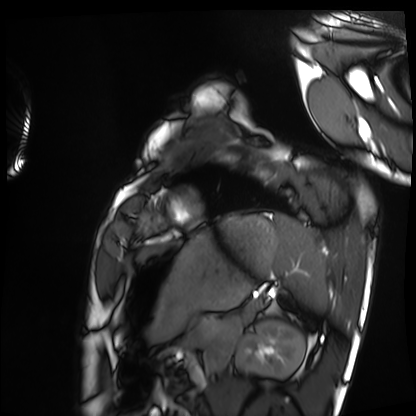
<record>
<modality>cardiac MRI</modality>
<cohort>healthy volunteer</cohort>
</record>